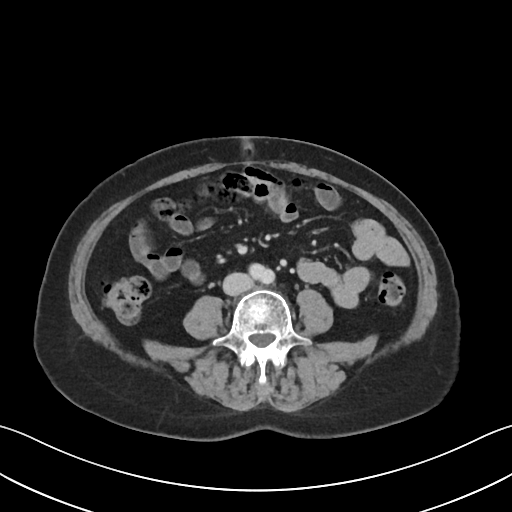
Case summary: Multiphase abdominal CT, liver, portal venous phase. Patient: female, age 61.